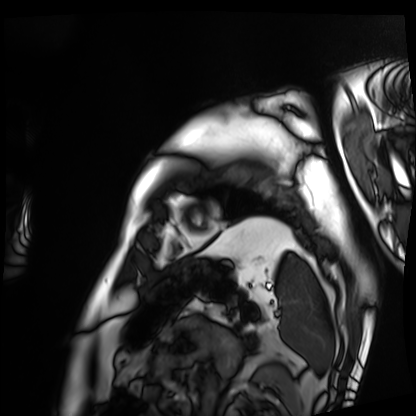
Cardiac MRI. Subject group: patient.